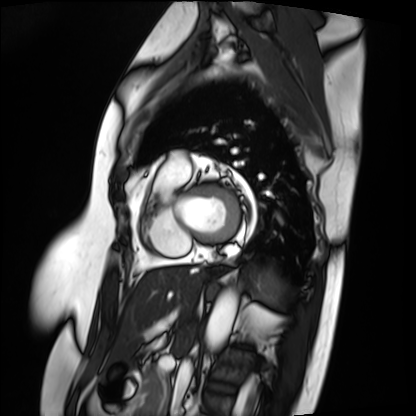
Q: What kind of scan is this?
A: Cardiac MRI.
Subject group: patient.